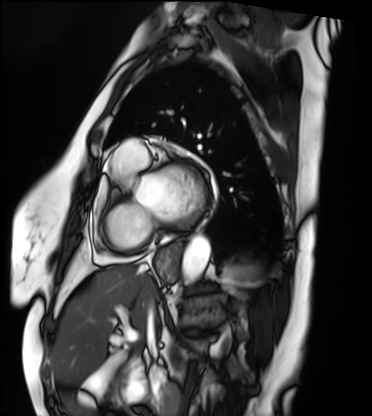
- modality — cardiac MRI
- subject group — patient